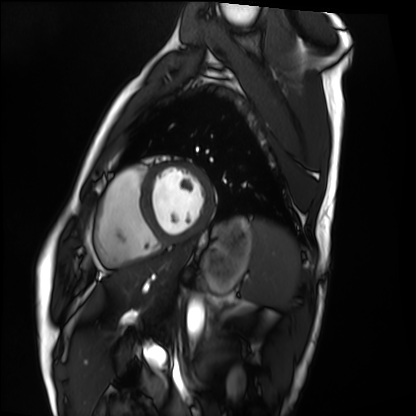
{"modality": "cardiac MRI", "cohort": "healthy volunteer"}